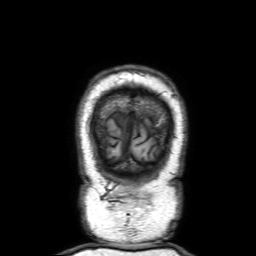
Q: What kind of scan is this?
A: 3 Tesla brain MRI.
Q: Series?
A: 3D T1-weighted with SENSE.
Study: ring-enhancing brain masses.